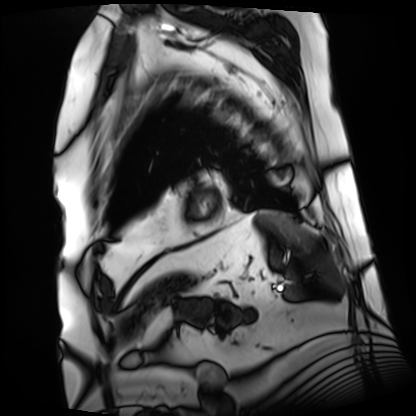
Q: What kind of scan is this?
A: Cardiac MRI.
Subject group: patient.